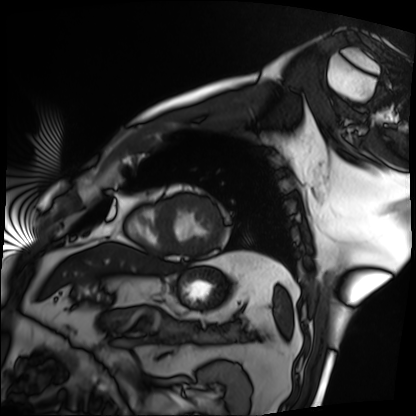
modality: cardiac MRI
subject group: patient